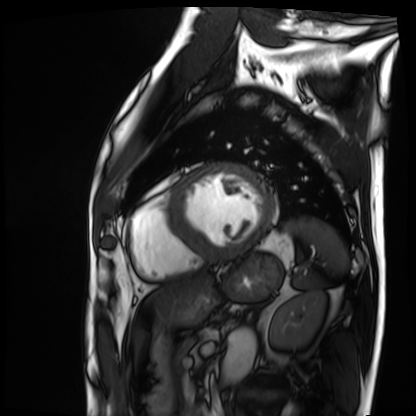
Cardiac MRI. Subject group: patient.